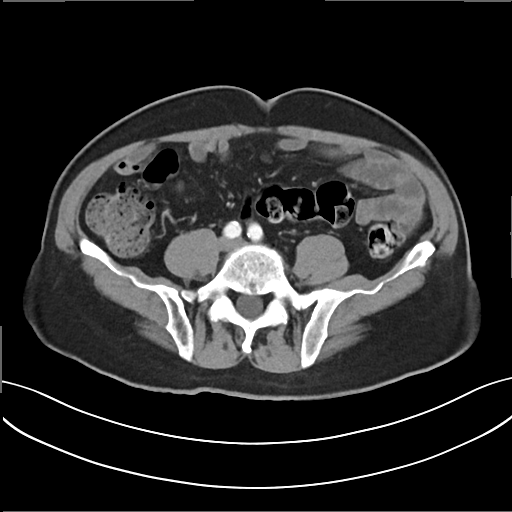
Multiphase abdominal CT, liver, arterial phase. Patient: male, age 72. History: prior chemotherapy.